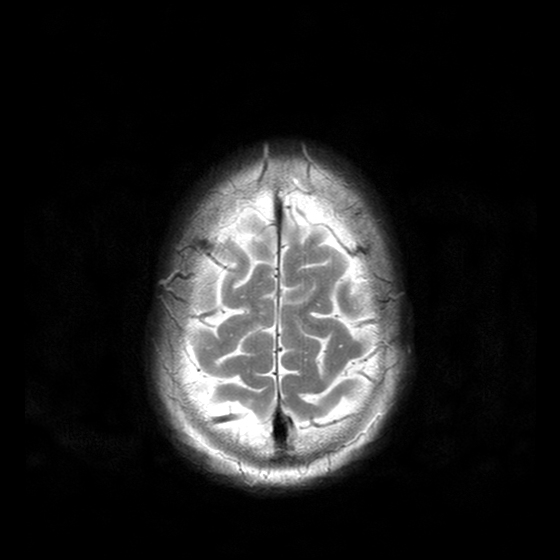
Q: What kind of scan is this?
A: 3 Tesla brain MRI.
Q: Series?
A: T2-weighted turbo spin echo with CLEAR.
Study: ring-enhancing brain masses.